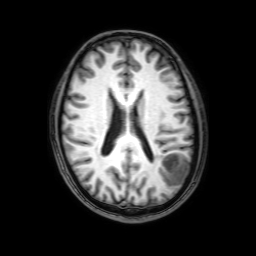
Q: What kind of scan is this?
A: 3 Tesla brain MRI.
Q: Series?
A: 3D T1-weighted with SENSE.
Study: ring-enhancing brain masses.